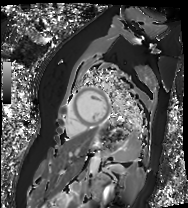
Case summary: Cardiac MR image of the myocardium. Subject cohort: healthy volunteer.